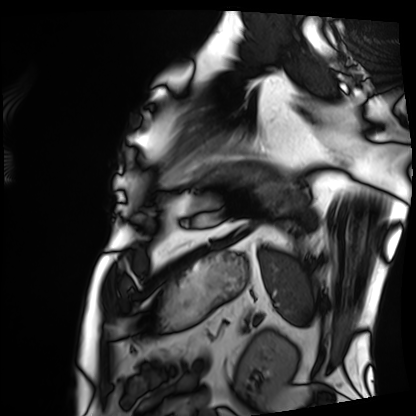
Summary:
Cardiac MRI. Subject group: patient.